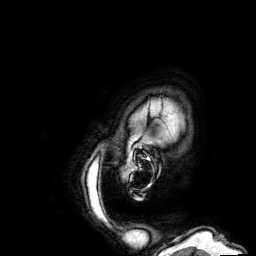
modality: 3 Tesla brain MRI | series: 3D T1-weighted | study: ring-enhancing brain masses.